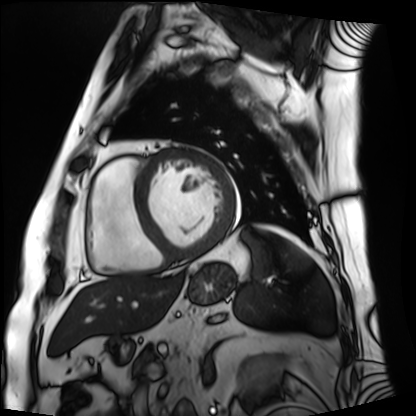
modality = cardiac MRI, subject group = patient.